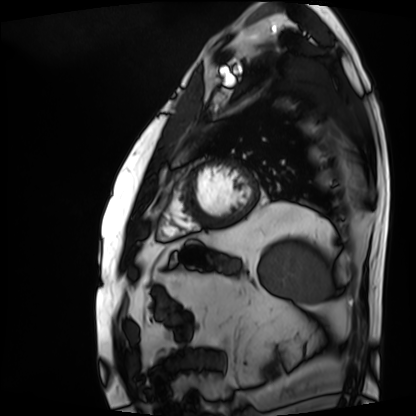
Cardiac MRI. Subject group: patient.